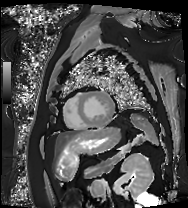
Case summary:
Cardiac MRI. Subject group: patient.